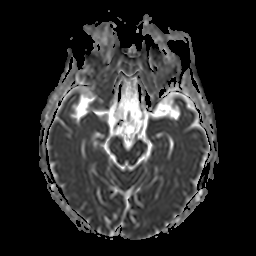
3 Tesla brain MRI.
Series: apparent diffusion coefficient (ADC) map.
Study: ring-enhancing brain masses.